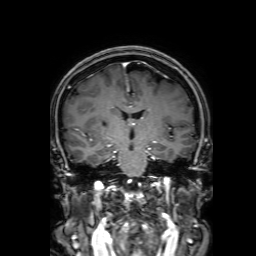
modality=3 Tesla brain MRI | series=3D T1-weighted with SENSE | study=ring-enhancing brain masses.